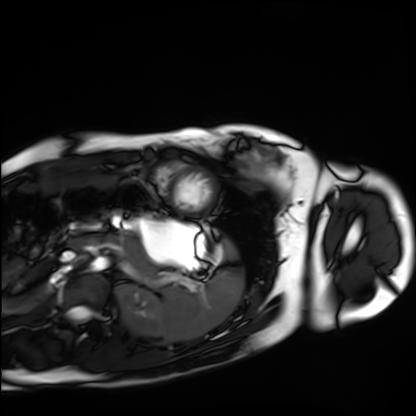
Cardiac MRI.
Subject group: healthy volunteer.